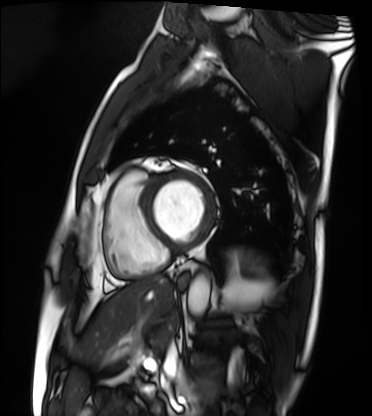
• modality: cardiac MRI
• subject group: patient